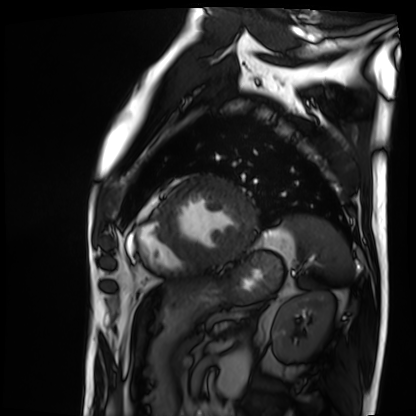
Q: What kind of scan is this?
A: Cardiac MRI.
Subject group: patient.